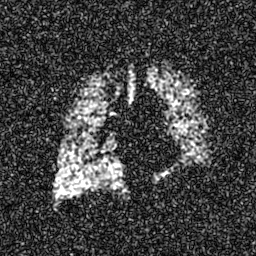
Hyperpolarized 129Xe ventilation MRI of the lungs. SNR level 7 of 8 (the deposit holds this scan as its native image and as seven SNR-degraded versions).